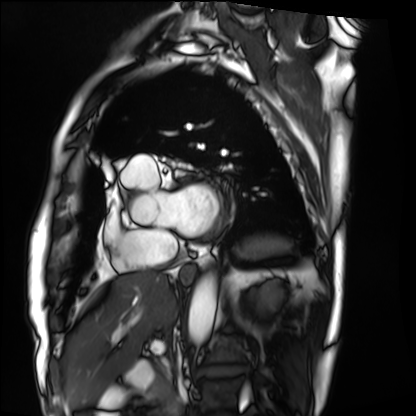
Summary: Cardiac MRI. Subject group: patient.